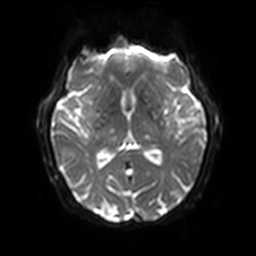
3 Tesla brain MRI.
Study: ring-enhancing brain masses.